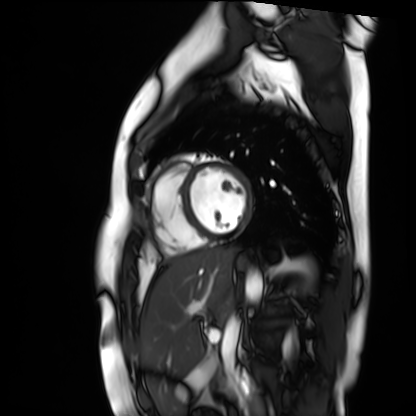
Summary:
Cardiac MR image of the myocardium. Subject cohort: healthy volunteer.